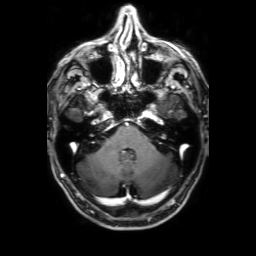
modality:
  type: brain MRI
  field_strength: 3T
series: 3D T1-weighted with SENSE
study_topic: ring-enhancing brain masses